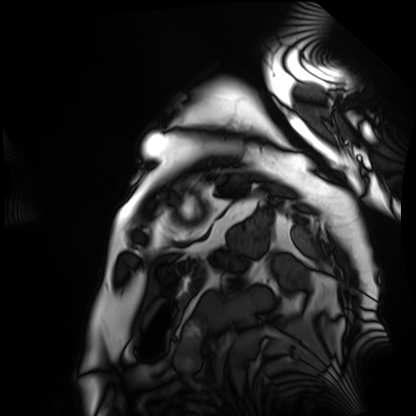
Clinical context: Cardiac MRI. Subject group: patient.